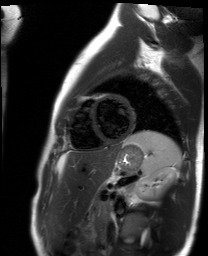
modality = cardiac MR image of the myocardium | subject cohort = healthy volunteer.